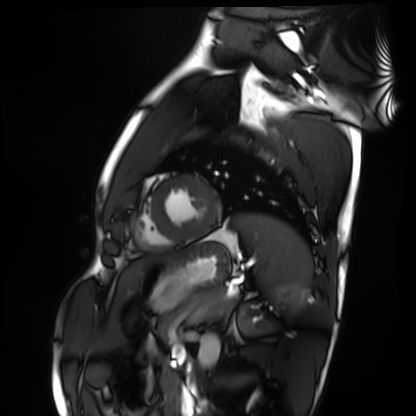
Cardiac MRI. Subject group: healthy volunteer.